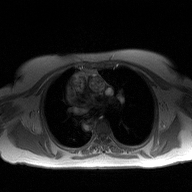
2D phase-contrast cine MRI of the ascending aorta, high-resolution GRAPPA acquisition.